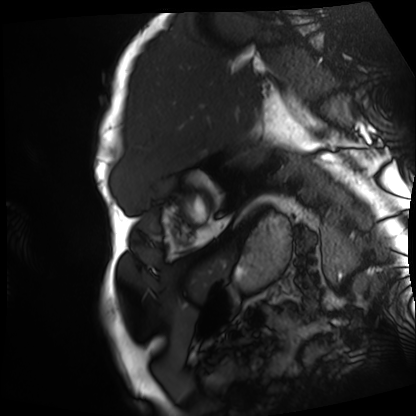
Case:
– modality · cardiac MRI
– subject group · patient